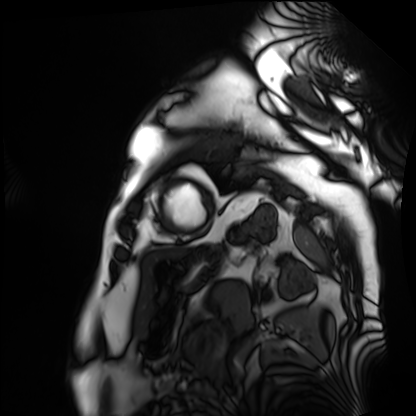
modality=cardiac MRI; subject group=patient.